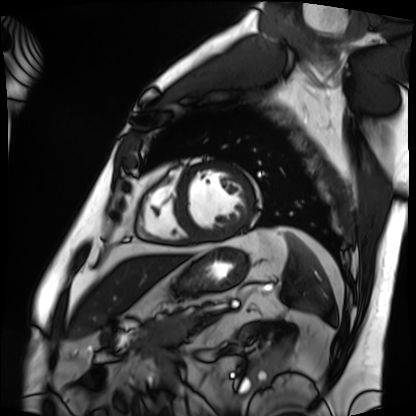
modality=cardiac MRI
subject group=patient